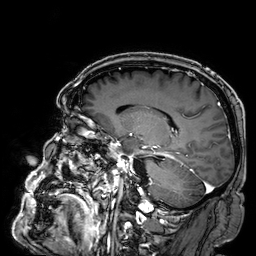
Summary: 3 Tesla brain MRI. Series: 3D T1-weighted. Study: ring-enhancing brain masses.